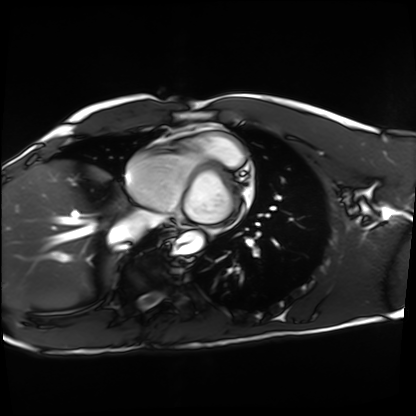
Cardiac MRI. Subject group: healthy volunteer.